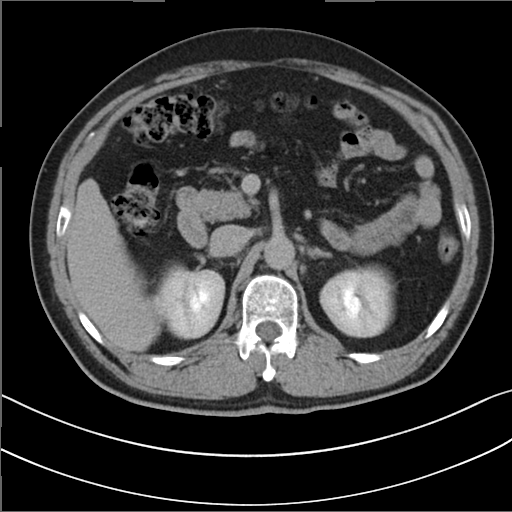
Clinical context: Multiphase abdominal CT, liver, delayed phase. Patient: male, age 52.